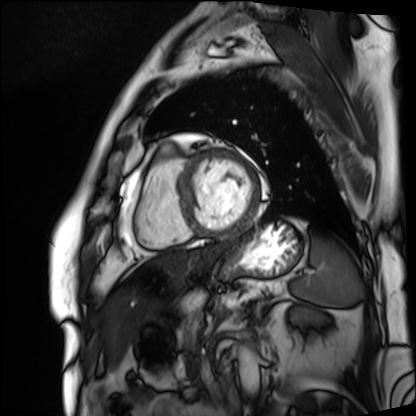
Clinical context: Cardiac MRI. Subject group: patient.